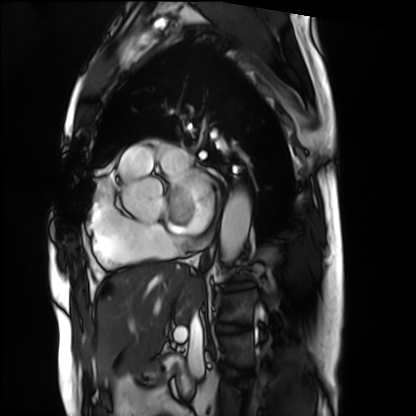
modality: cardiac MRI
subject group: patient